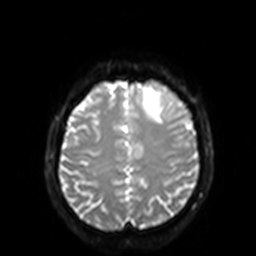
3 Tesla brain MRI. Series: diffusion-weighted imaging with SENSE (WIP). Study: ring-enhancing brain masses.